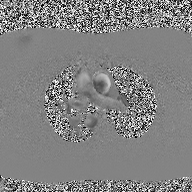
Q: What kind of scan is this?
A: 2D phase-contrast cine MRI of the ascending aorta.